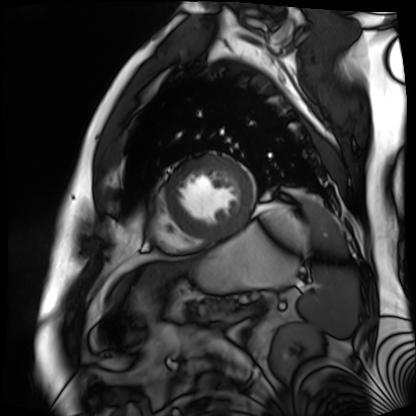
modality: cardiac MR image of the myocardium; subject cohort: cardiac patient.